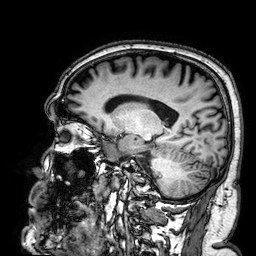
Summary: 3 Tesla brain MRI. Series: 3D T1-weighted. Study: ring-enhancing brain masses.